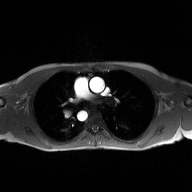
{"modality": {"type": "2D phase-contrast cine MRI", "region": "ascending aorta", "reconstruction": "high-resolution GRAPPA acquisition"}}